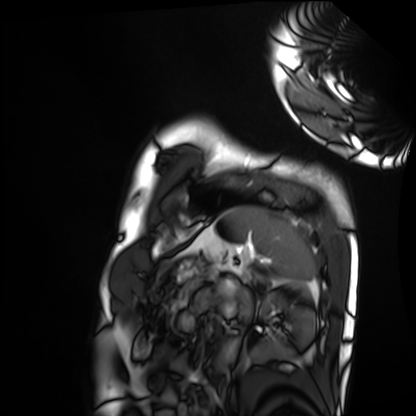
Summary:
Cardiac MRI. Subject group: healthy volunteer.